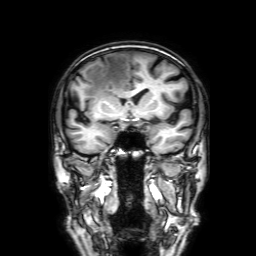
Summary: 3 Tesla brain MRI. Series: 3D T1-weighted with SENSE. Study: ring-enhancing brain masses.